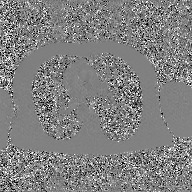
  modality:
    type: 2D phase-contrast cine MRI
    region: ascending aorta
    reconstruction: GAN super-resolution reconstruction